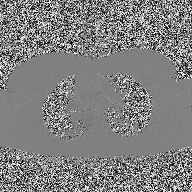
Case summary:
2D phase-contrast cine MRI of the ascending aorta, high-resolution GRAPPA acquisition.